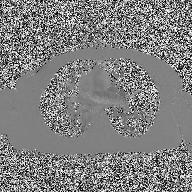
– modality: 2D phase-contrast cine MRI of the ascending aorta